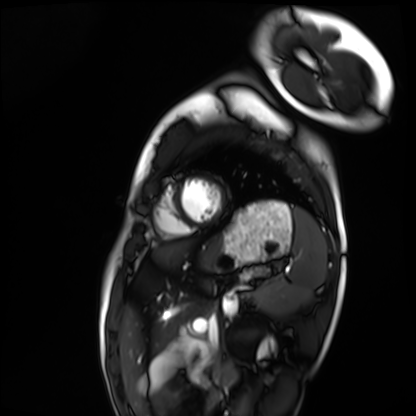
modality: cardiac MRI
cohort: healthy volunteer